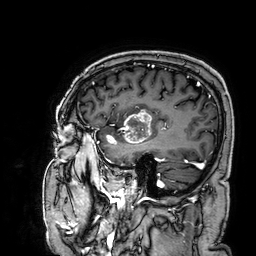
<study>
  <modality>
    <type>brain MRI</type>
    <field_strength>3T</field_strength>
  </modality>
  <series>3D T1-weighted</series>
  <study_topic>ring-enhancing brain masses</study_topic>
</study>